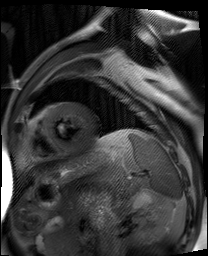
modality = cardiac MR image of the myocardium; subject cohort = cardiac patient.